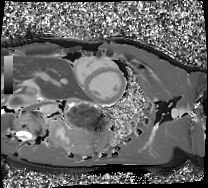
<scan>
  <modality>cardiac MRI</modality>
  <cohort>healthy volunteer</cohort>
</scan>